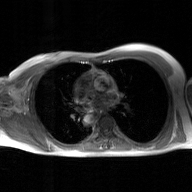
2D phase-contrast cine MRI of the ascending aorta, GAN super-resolution reconstruction.